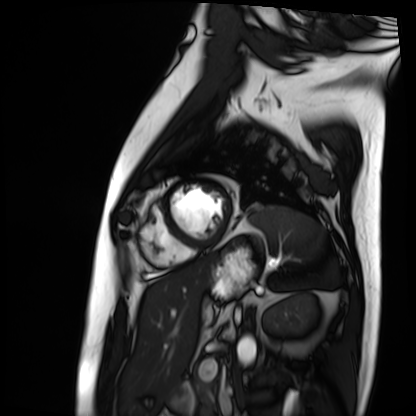
Cardiac MRI. Subject group: patient.